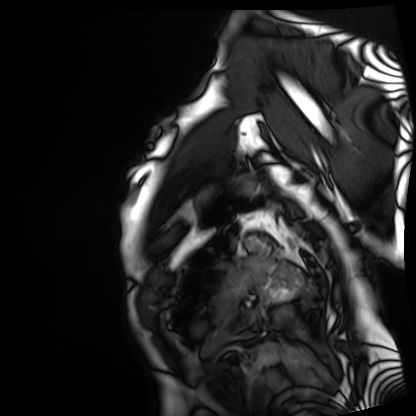
Case summary: Cardiac MRI. Subject group: patient.